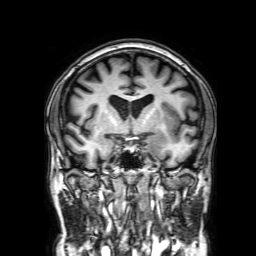
3 Tesla brain MRI. Series: 3D T1-weighted with SENSE. Study: ring-enhancing brain masses.